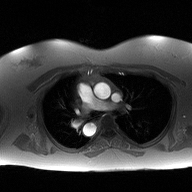
2D phase-contrast cine MRI of the ascending aorta, high-resolution GRAPPA acquisition.